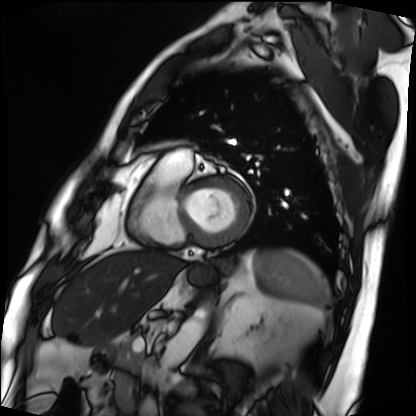
Q: What kind of scan is this?
A: Cardiac MRI.
Subject group: patient.